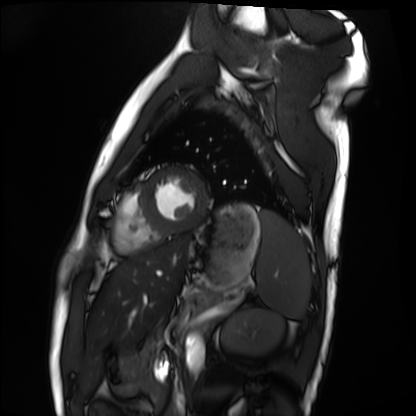
Clinical context:
Cardiac MRI. Subject group: healthy volunteer.